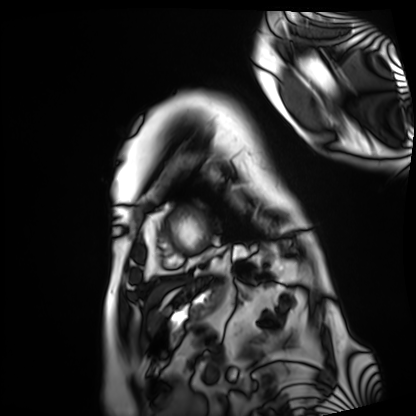
Summary:
Cardiac MRI. Subject group: patient.